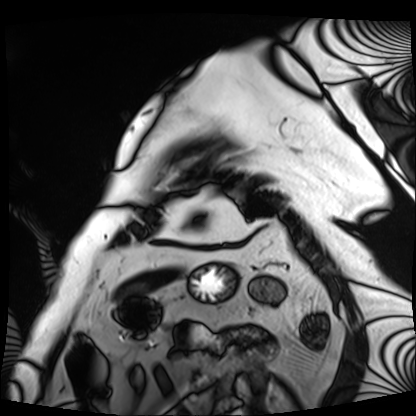
modality: cardiac MRI
subject group: patient